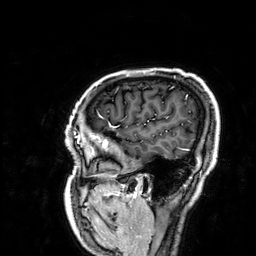
Clinical context:
3 Tesla brain MRI. Series: 3D T1-weighted. Study: ring-enhancing brain masses.